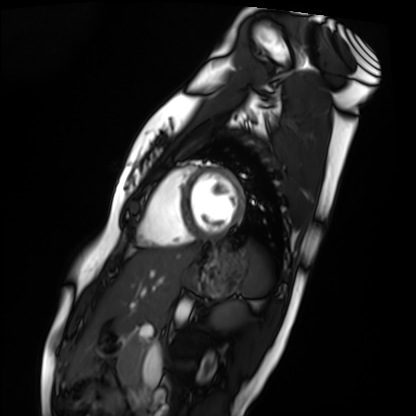
Cardiac MRI.
Subject group: healthy volunteer.